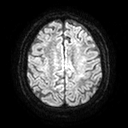
3 Tesla brain MRI. Study: ring-enhancing brain masses.